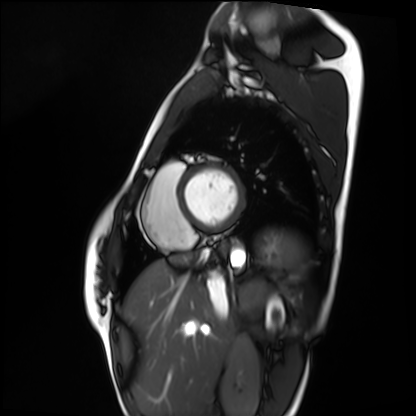
Case:
* modality — cardiac MRI
* subject group — healthy volunteer